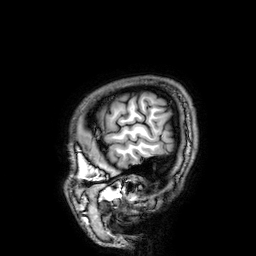
Clinical context: 3 Tesla brain MRI. Series: 3D T1-weighted. Study: ring-enhancing brain masses.